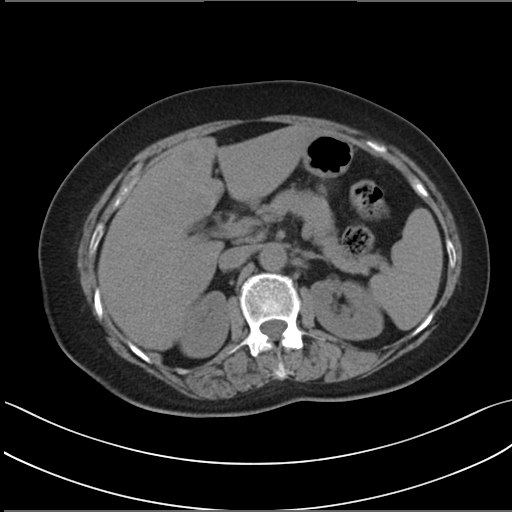
Multiphase abdominal CT, liver, non-contrast phase.